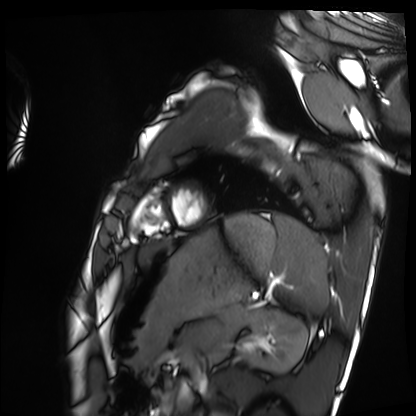
Cardiac MRI.
Subject group: healthy volunteer.